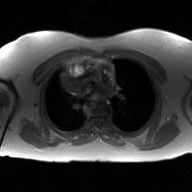
2D phase-contrast cine MRI of the ascending aorta, GAN super-resolution reconstruction.